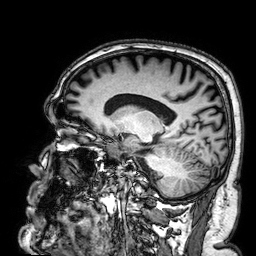
3 Tesla brain MRI.
Series: 3D T1-weighted.
Study: ring-enhancing brain masses.